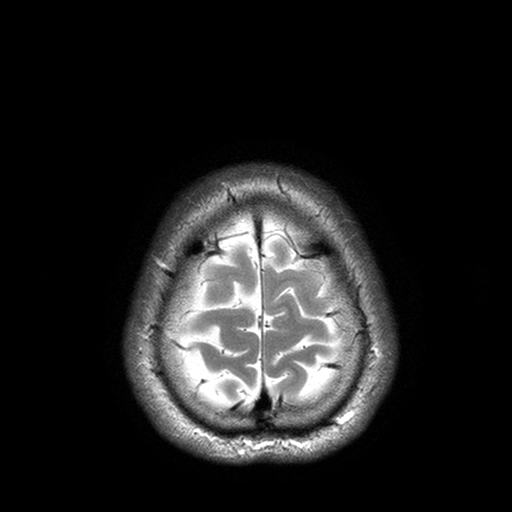
3 Tesla brain MRI.
Series: T2-weighted turbo spin echo with SENSE.
Study: ring-enhancing brain masses.